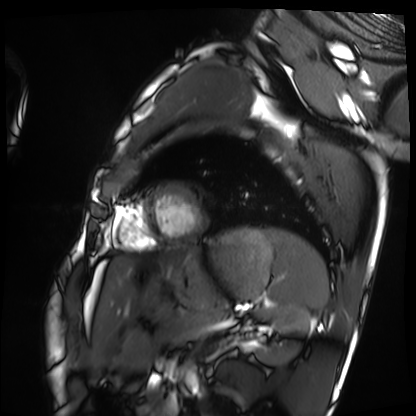
* modality: cardiac MRI
* subject group: healthy volunteer